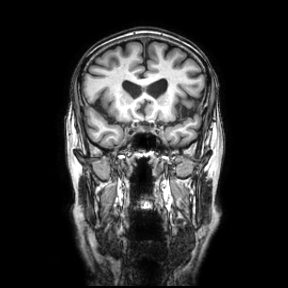
Summary: 3 Tesla brain MRI. Series: coronal. Study: ring-enhancing brain masses.